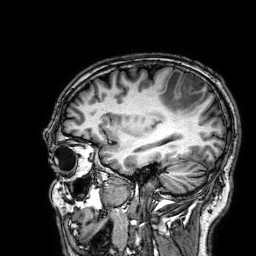
Q: What kind of scan is this?
A: 3 Tesla brain MRI.
Q: Series?
A: 3D T1-weighted.
Study: ring-enhancing brain masses.